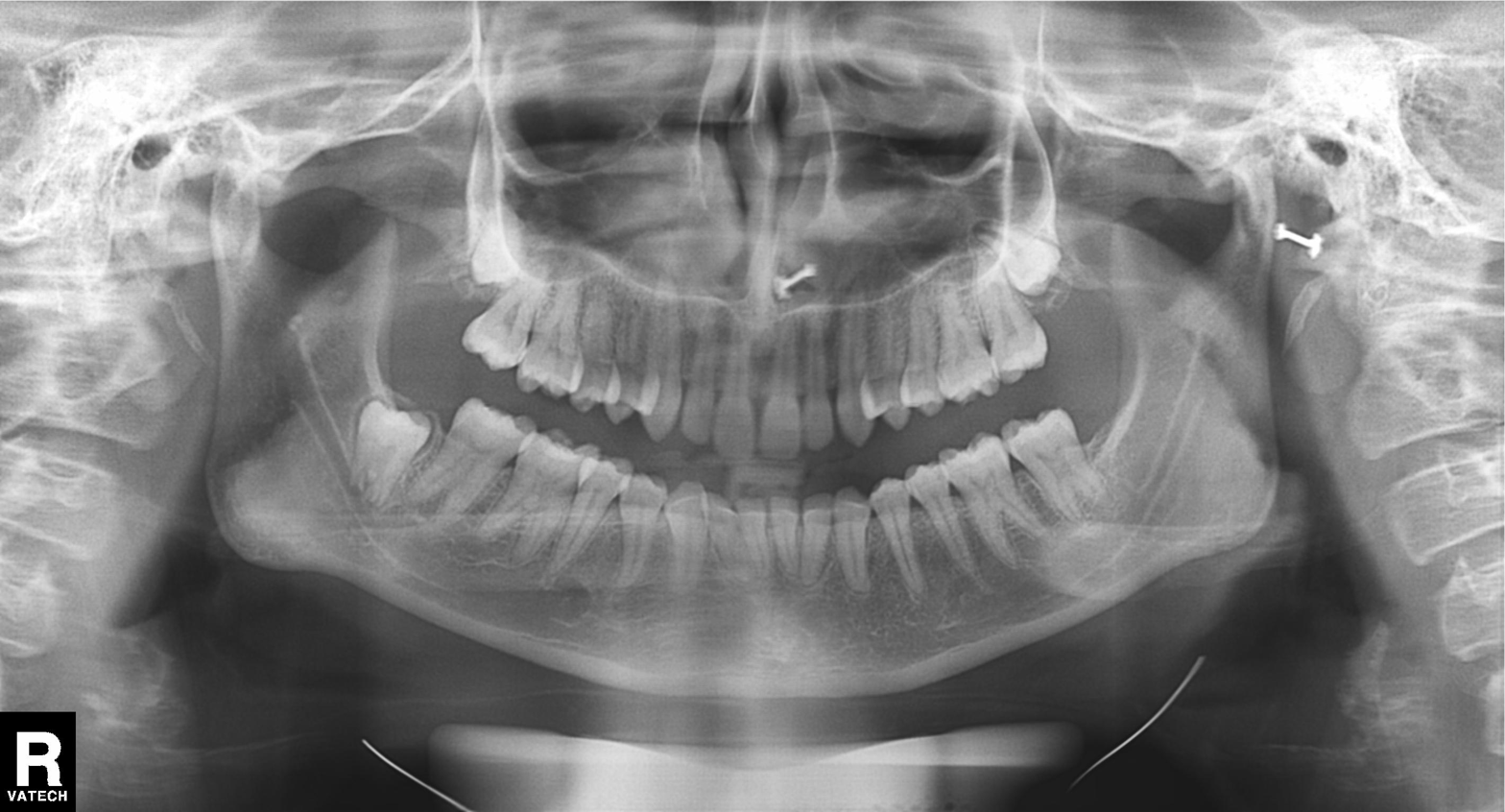
modality: panoramic dental radiograph (orthopantomogram)
finding: alveolar bone loss